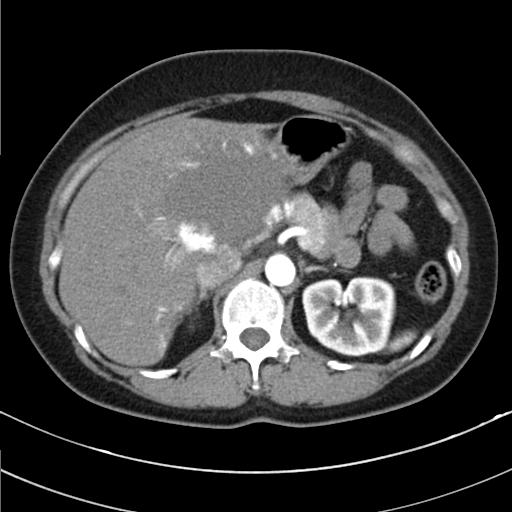
Q: What kind of scan is this?
A: Multiphase abdominal CT, liver, arterial phase.
Q: Patient?
A: Female, age 49.